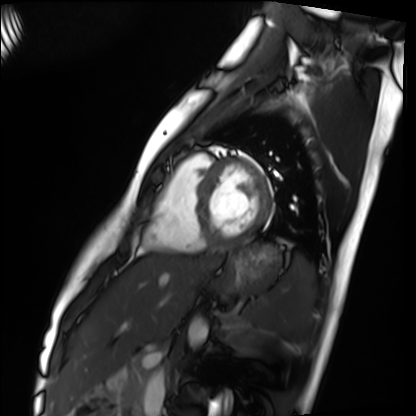
Q: What kind of scan is this?
A: Cardiac MRI.
Subject group: healthy volunteer.